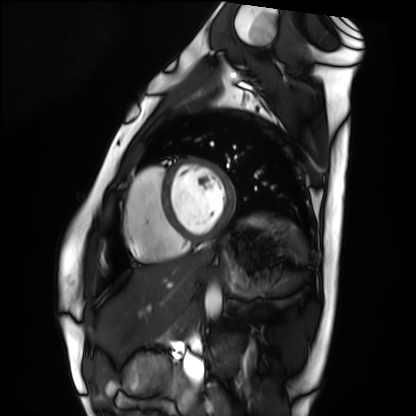
Cardiac MRI.
Subject group: healthy volunteer.